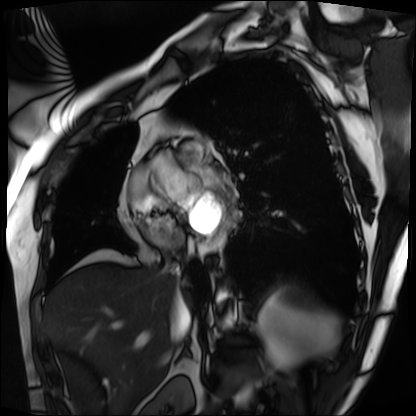
Cardiac MRI. Subject group: patient.